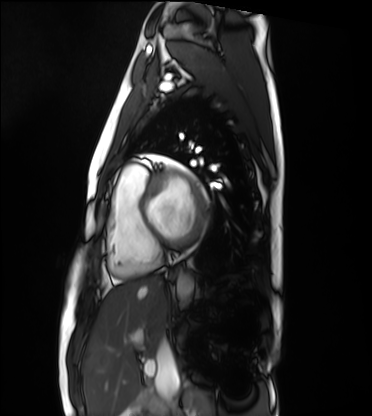
{"modality": "cardiac MRI", "cohort": "healthy volunteer"}